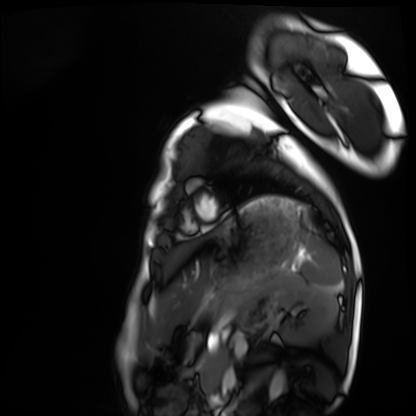
| field | value |
|---|---|
| modality | cardiac MRI |
| subject group | healthy volunteer |